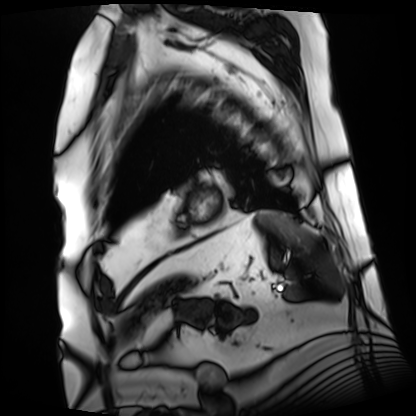
Cardiac MRI. Subject group: patient.